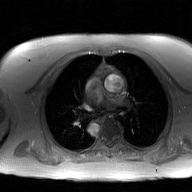
Summary:
2D phase-contrast cine MRI of the ascending aorta, GAN super-resolution reconstruction.